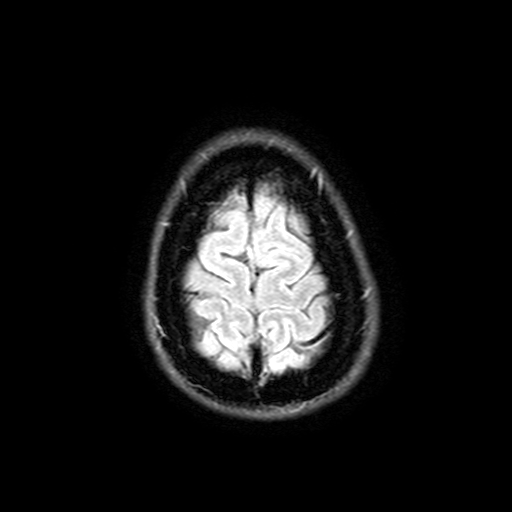
3 Tesla brain MRI.
Series: FLAIR with SPAIR, 3 mm.
Study: ring-enhancing brain masses.